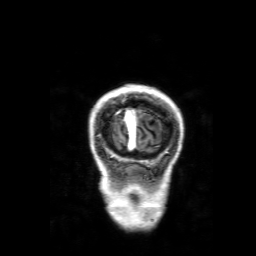
3 Tesla brain MRI. Series: 3D T1-weighted with SENSE. Study: ring-enhancing brain masses.